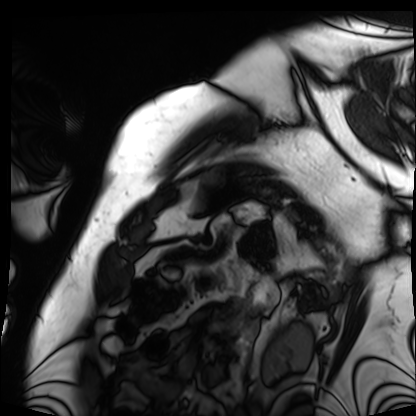
Summary:
Cardiac MRI. Subject group: patient.